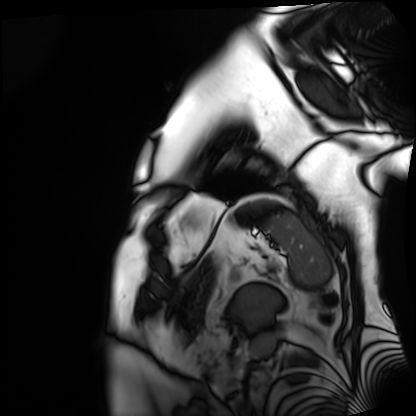
Q: What kind of scan is this?
A: Cardiac MRI.
Subject group: patient.